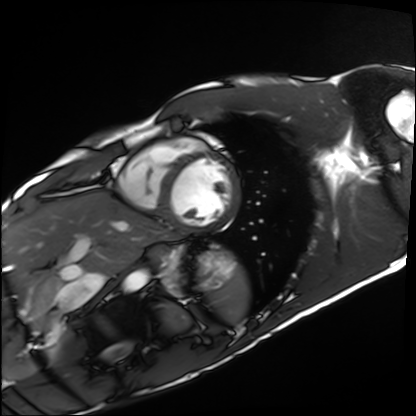
modality: cardiac MRI
subject group: healthy volunteer